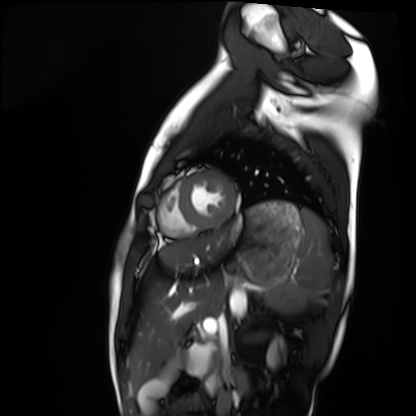
{"modality": "cardiac MRI", "cohort": "healthy volunteer"}